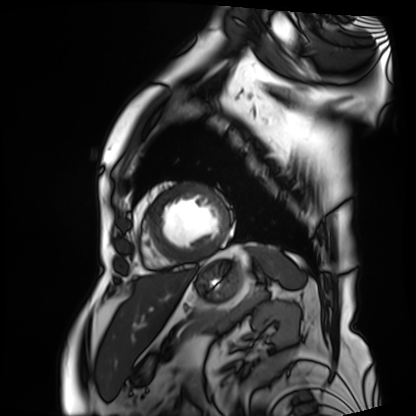
modality — cardiac MRI; subject group — patient.